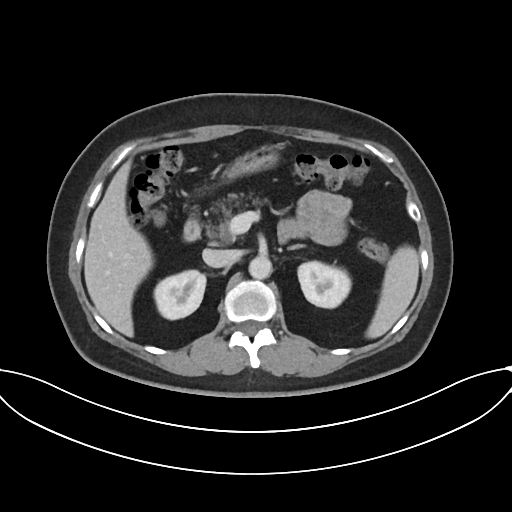
Multiphase abdominal CT, liver, portal venous phase. Patient: female, age 58.